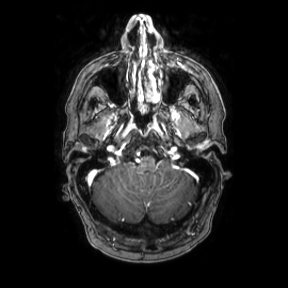
Summary:
3 Tesla brain MRI. Series: axial. Study: ring-enhancing brain masses.